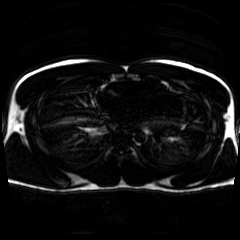
modality — chemical-shift-encoded cardiac MRI